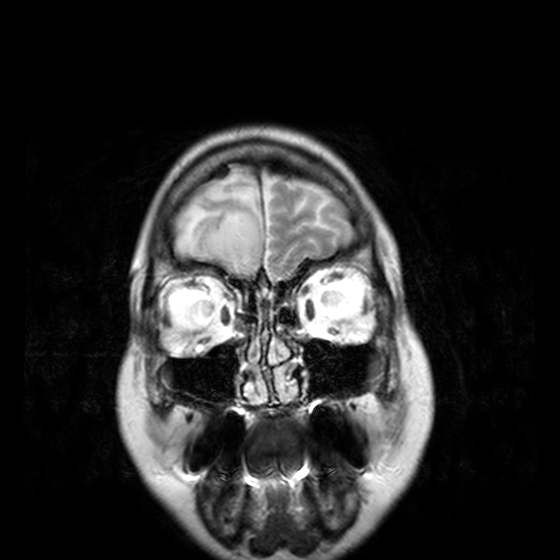
Clinical context:
3 Tesla brain MRI. Series: T2-weighted turbo spin echo, 3 mm. Study: ring-enhancing brain masses.